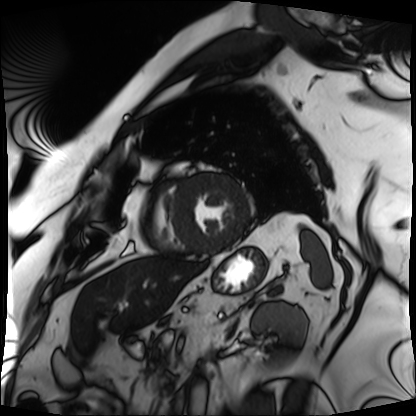
- modality · cardiac MRI
- subject group · patient